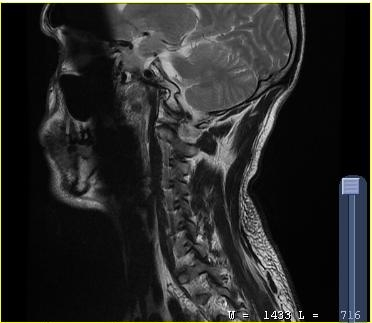
Summary:
MRI of the cervical spine. Study: cervical spondylosis.